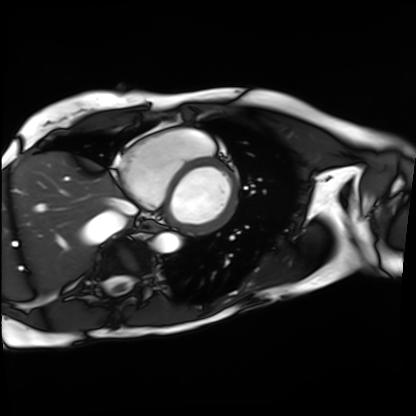
Case:
– modality: cardiac MRI
– subject group: patient